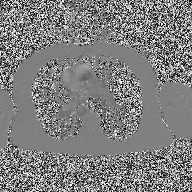
modality:
  type: 2D phase-contrast cine MRI
  region: ascending aorta
  reconstruction: high-resolution GRAPPA acquisition